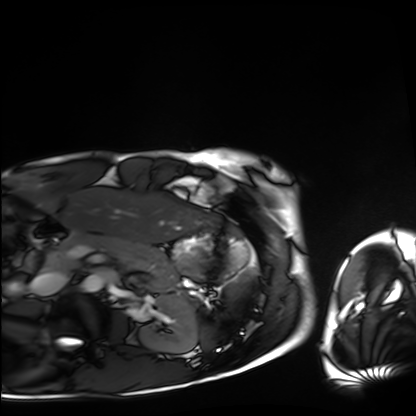
modality: cardiac MRI
cohort: healthy volunteer